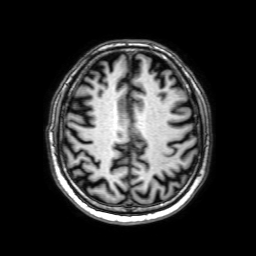
modality: 3 Tesla brain MRI | series: 3D T1-weighted with SENSE | study: ring-enhancing brain masses.